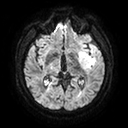
Q: What kind of scan is this?
A: 3 Tesla brain MRI.
Q: Series?
A: Diffusion tensor imaging (medium iso).
Study: ring-enhancing brain masses.